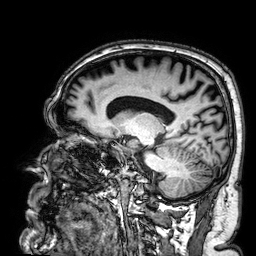
Summary:
3 Tesla brain MRI. Series: 3D T1-weighted. Study: ring-enhancing brain masses.